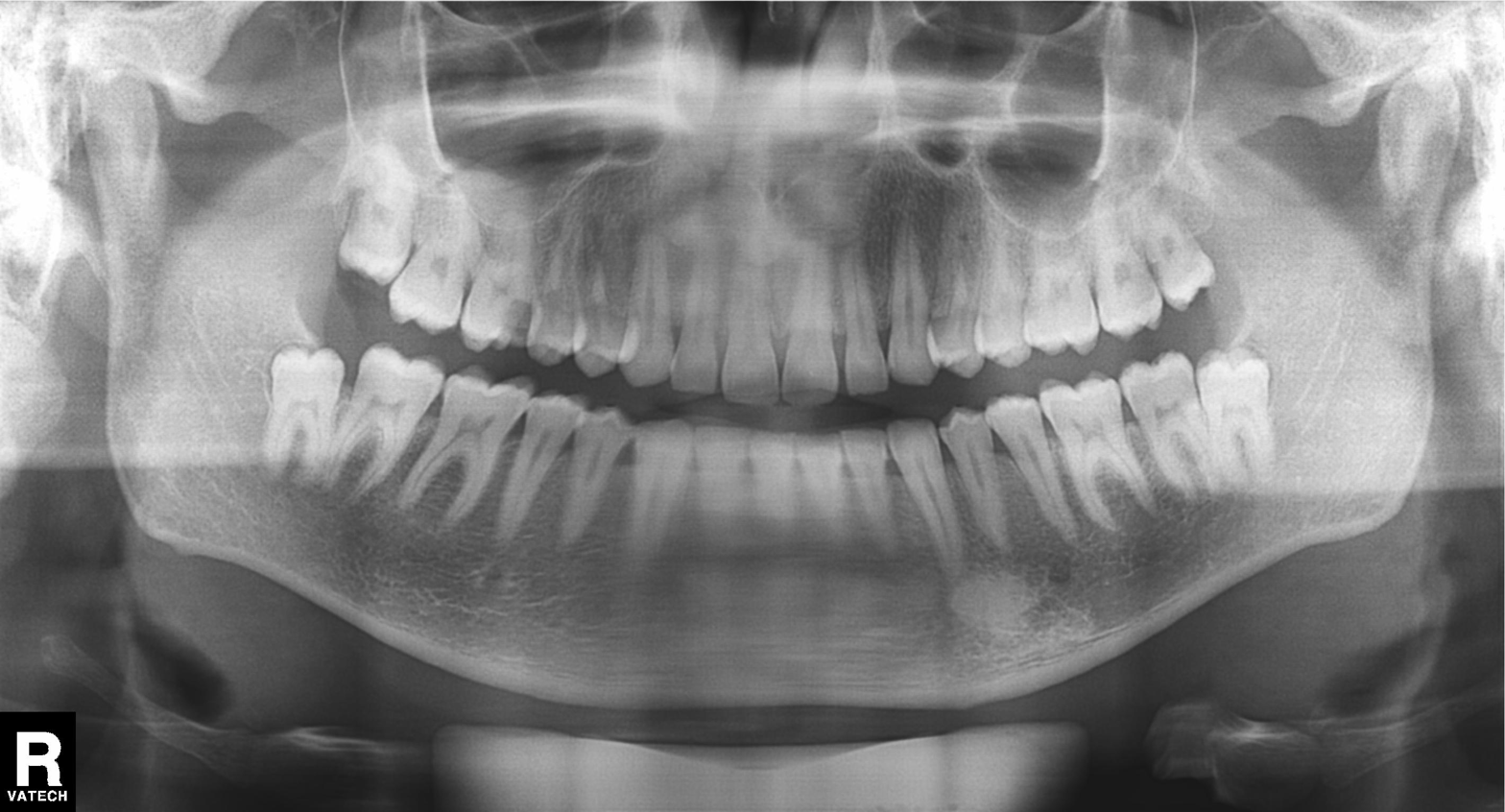
{"modality": "panoramic dental radiograph (orthopantomogram)", "finding": "alveolar bone loss"}